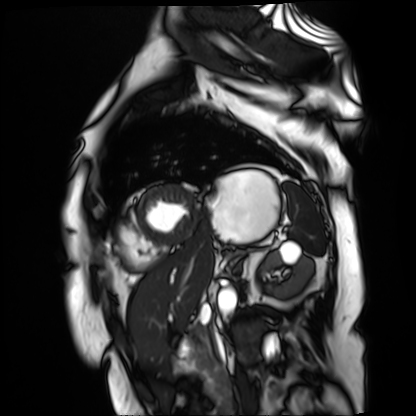
modality — cardiac MR image of the myocardium
subject cohort — cardiac patient